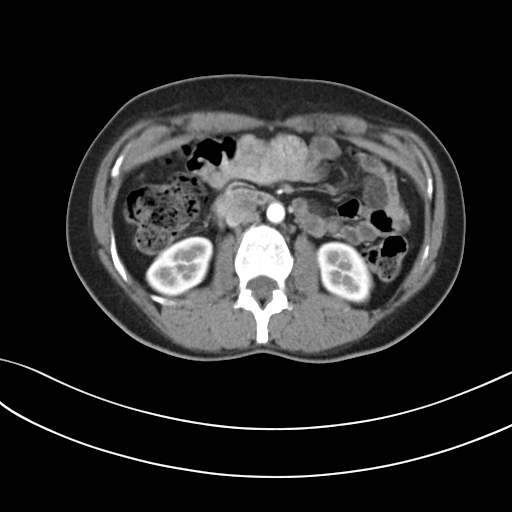
Summary: Multiphase abdominal CT, liver, arterial phase. Patient: female, age 39. History: prior chemotherapy.